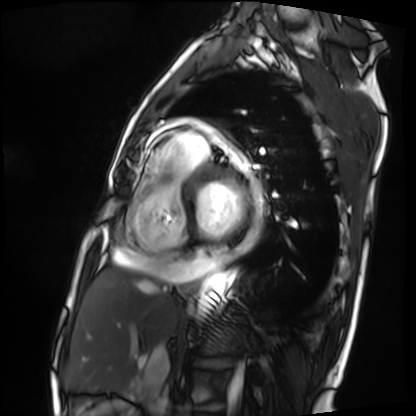
Case:
• modality — cardiac MRI
• subject group — patient